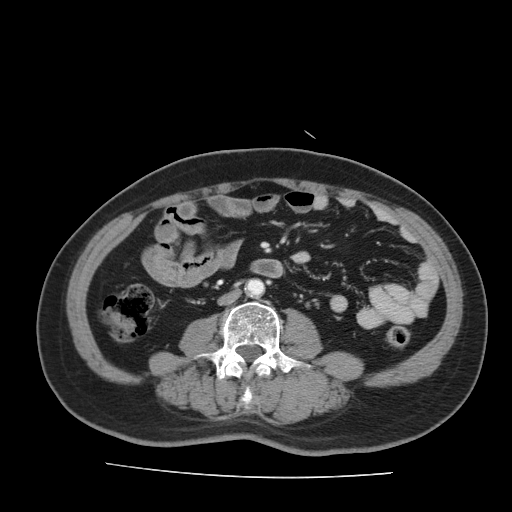
Multiphase abdominal CT, liver, portal venous phase. Patient: male, age 66.